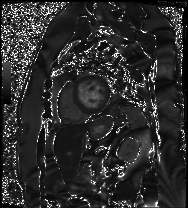
modality = cardiac MRI
subject group = patient